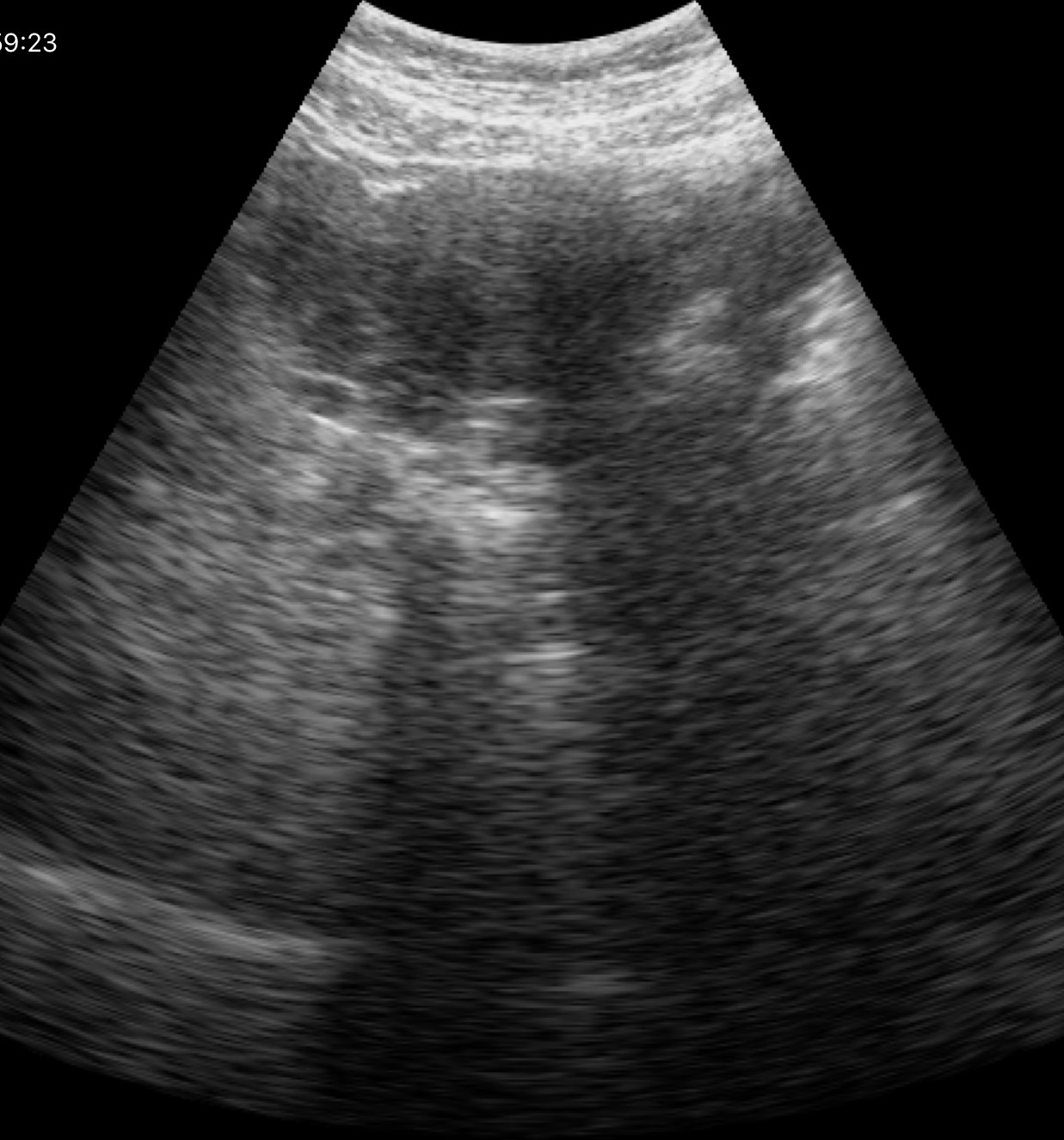
Case summary:
Genitourinary ultrasound.